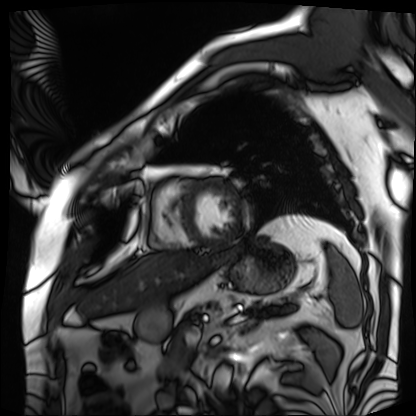
Q: What kind of scan is this?
A: Cardiac MRI.
Subject group: patient.